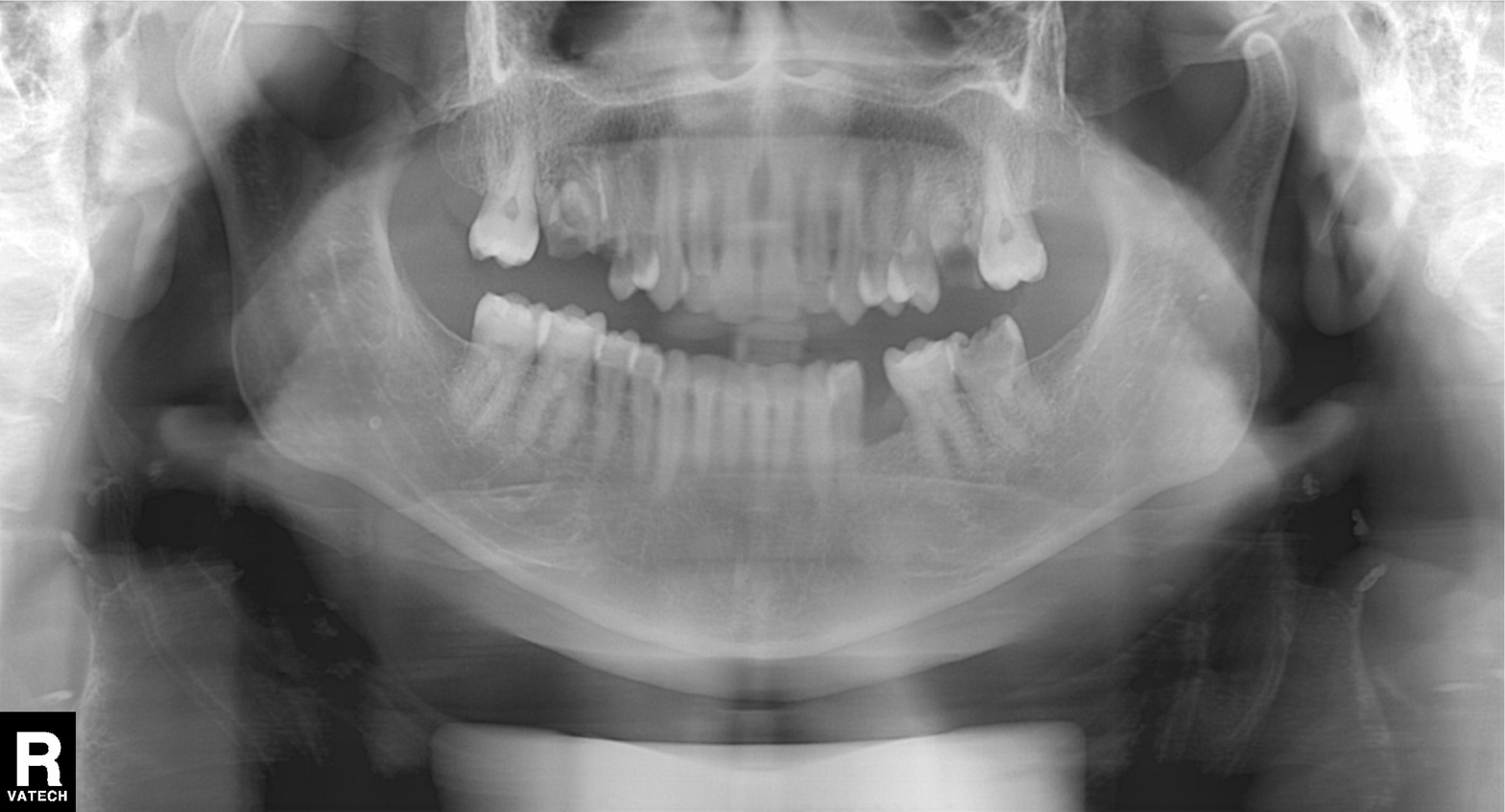
Panoramic dental radiograph (orthopantomogram). Finding: tooth impaction.